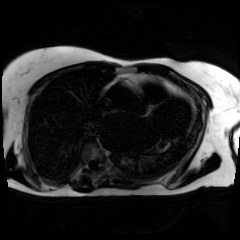
• modality · chemical-shift-encoded cardiac MRI